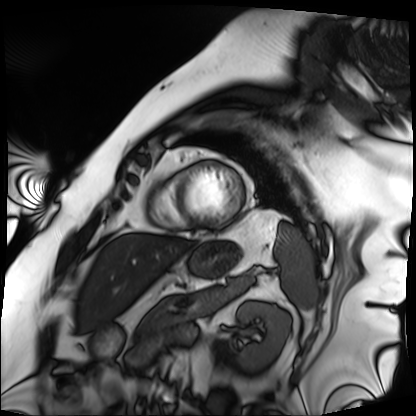
{"modality": "cardiac MRI", "cohort": "patient"}